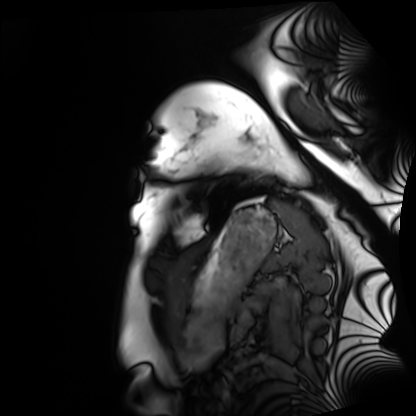
modality — cardiac MRI | subject group — healthy volunteer.